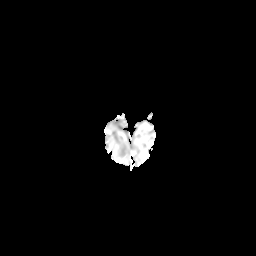
3 Tesla brain MRI.
Series: diffusion-weighted imaging with CLEAR.
Study: ring-enhancing brain masses.